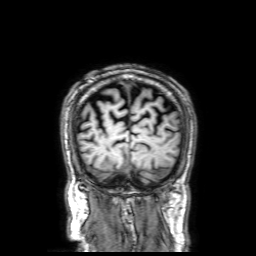
3 Tesla brain MRI. Study: ring-enhancing brain masses.